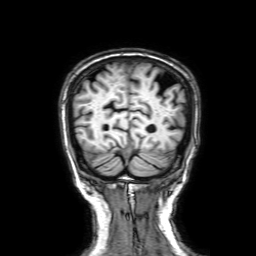
Summary: 3 Tesla brain MRI. Series: 3D T1-weighted with SENSE. Study: ring-enhancing brain masses.